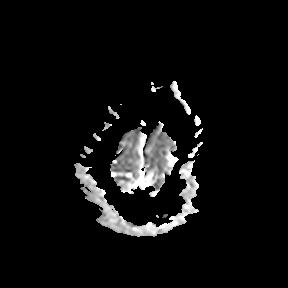
modality = 3 Tesla brain MRI; study = ring-enhancing brain masses.